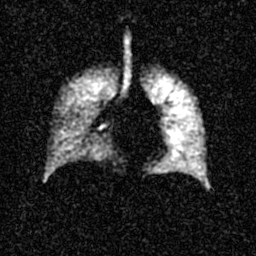
  modality: hyperpolarized 129Xe ventilation MRI of the lungs
  snr_level: 4 of 8 (the deposit holds this scan as its native image and as seven SNR-degraded versions)